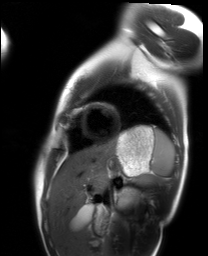
Cardiac MRI. Subject group: healthy volunteer.